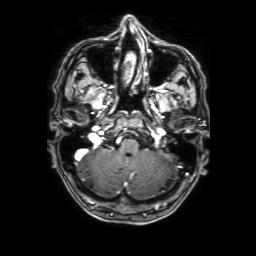
Q: What kind of scan is this?
A: 3 Tesla brain MRI.
Q: Series?
A: 3D T1-weighted with SENSE.
Study: ring-enhancing brain masses.